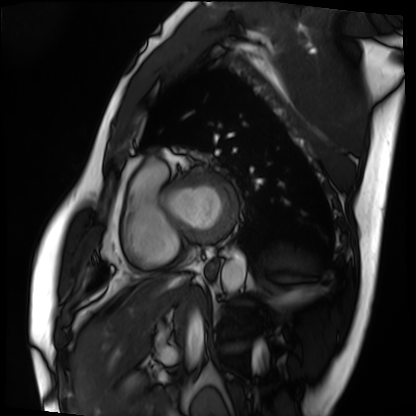
modality = cardiac MRI | subject group = patient.